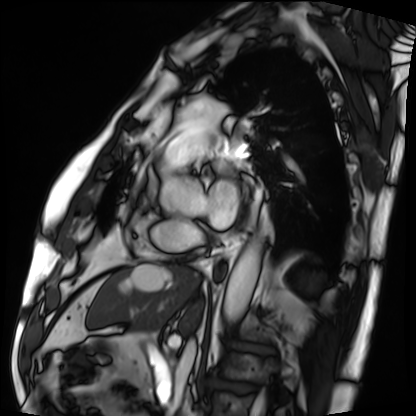
modality: cardiac MRI; subject group: patient.